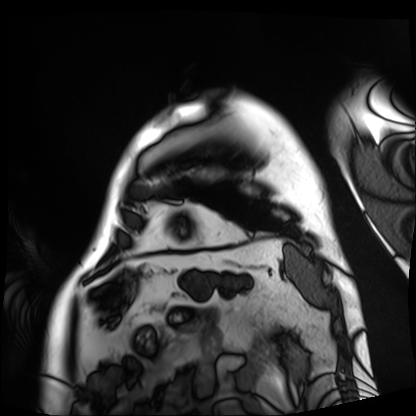
Cardiac MRI. Subject group: patient.